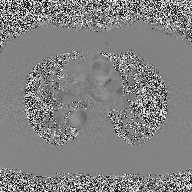
2D phase-contrast cine MRI of the ascending aorta, high-resolution GRAPPA acquisition.